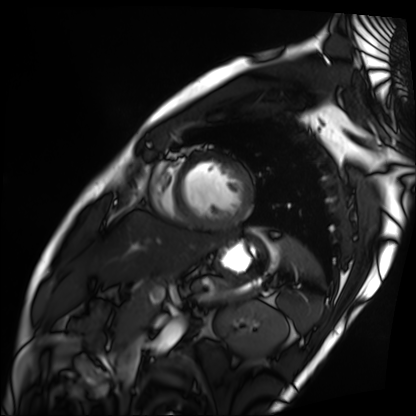
Cardiac MRI. Subject group: patient.